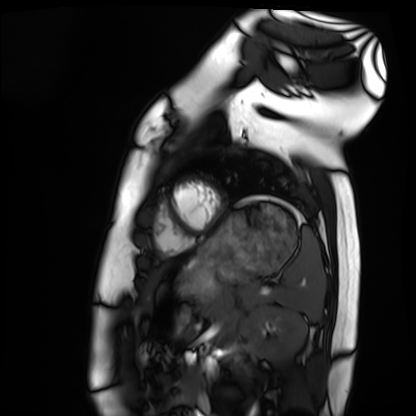
Q: What kind of scan is this?
A: Cardiac MRI.
Subject group: healthy volunteer.